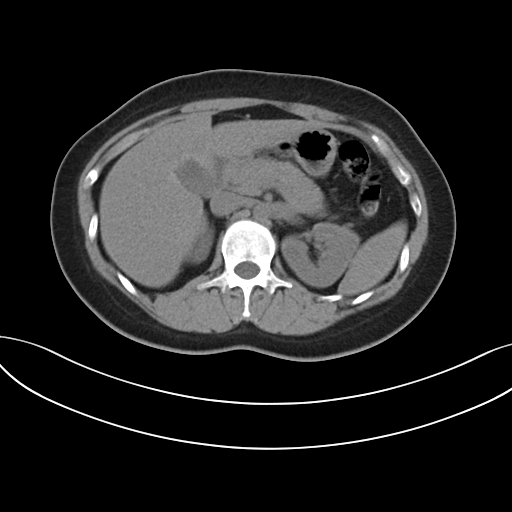
Multiphase abdominal CT, liver, non-contrast phase.
Patient: female, age 30.